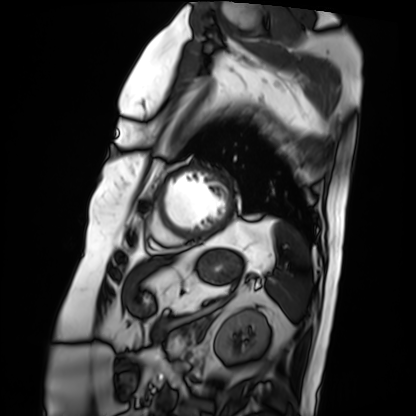
| field | value |
|---|---|
| modality | cardiac MRI |
| subject group | patient |